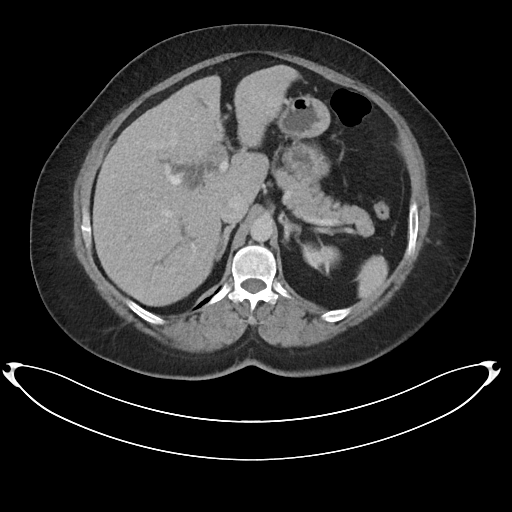
Case summary:
Multiphase abdominal CT, liver, portal venous phase. Patient: female, age 59.